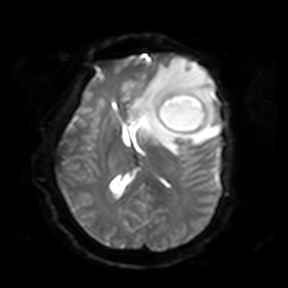
3 Tesla brain MRI. Series: diffusion-weighted imaging. Study: ring-enhancing brain masses.